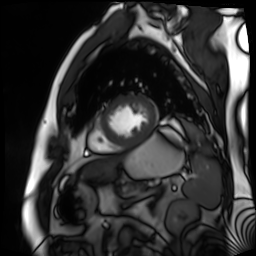
modality: cardiac MR image of the myocardium | subject cohort: cardiac patient.